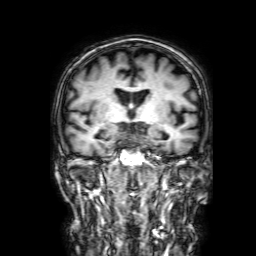
Case summary: 3 Tesla brain MRI. Study: ring-enhancing brain masses.